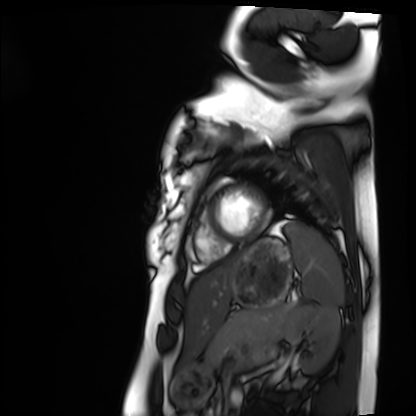
Cardiac MRI.
Subject group: healthy volunteer.